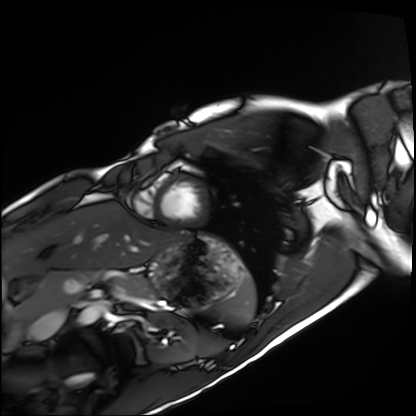
modality=cardiac MRI
subject group=healthy volunteer